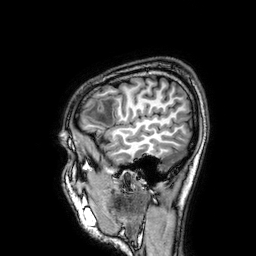
* modality · 3 Tesla brain MRI
* series · 3D T1-weighted
* study · ring-enhancing brain masses